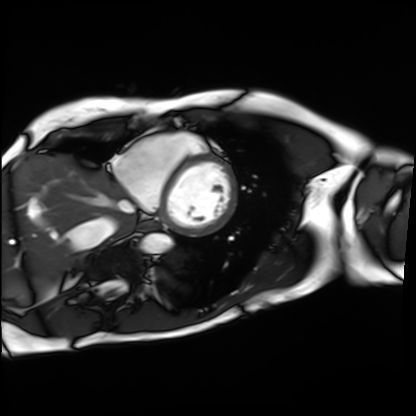
Cardiac MRI. Subject group: patient.